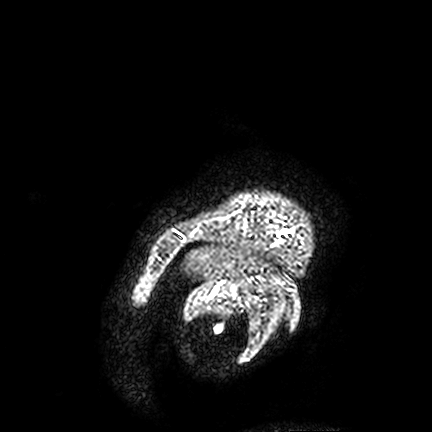
Q: What kind of scan is this?
A: 3 Tesla brain MRI.
Q: Series?
A: FLAIR VISTA.
Study: ring-enhancing brain masses.